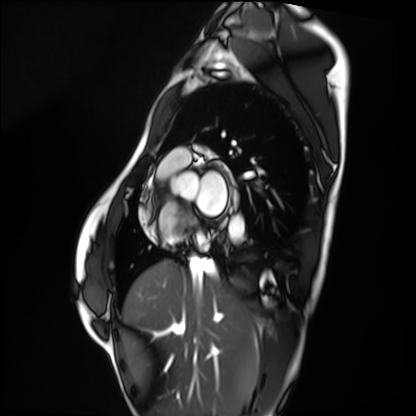
Q: What kind of scan is this?
A: Cardiac MRI.
Subject group: healthy volunteer.